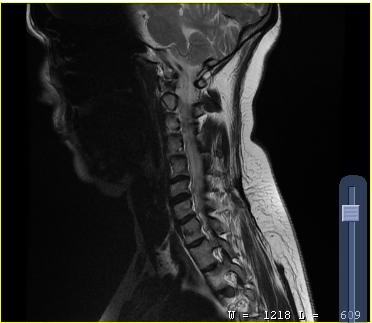
modality — MRI of the cervical spine | study — cervical spondylosis.